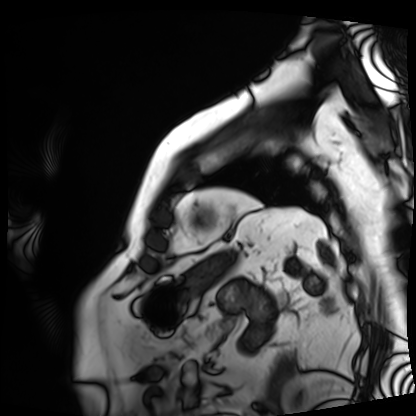
| field | value |
|---|---|
| modality | cardiac MRI |
| subject group | patient |